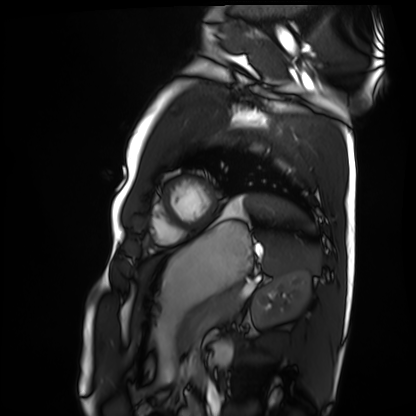
Summary: Cardiac MRI. Subject group: healthy volunteer.